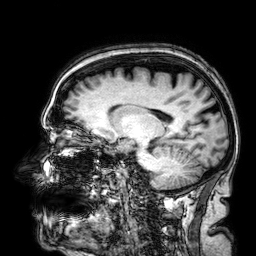
Q: What kind of scan is this?
A: 3 Tesla brain MRI.
Q: Series?
A: 3D T1-weighted.
Study: ring-enhancing brain masses.